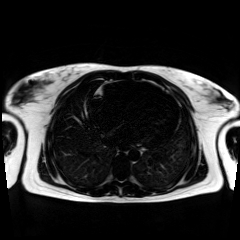
Summary: Chemical-shift-encoded cardiac MRI.